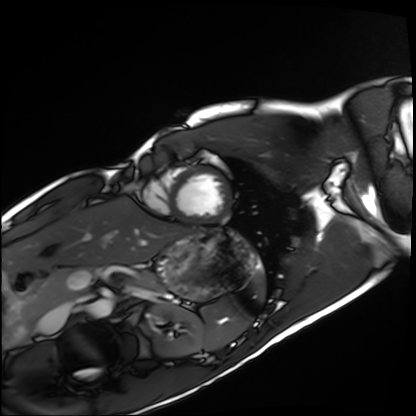
Summary:
Cardiac MRI. Subject group: healthy volunteer.